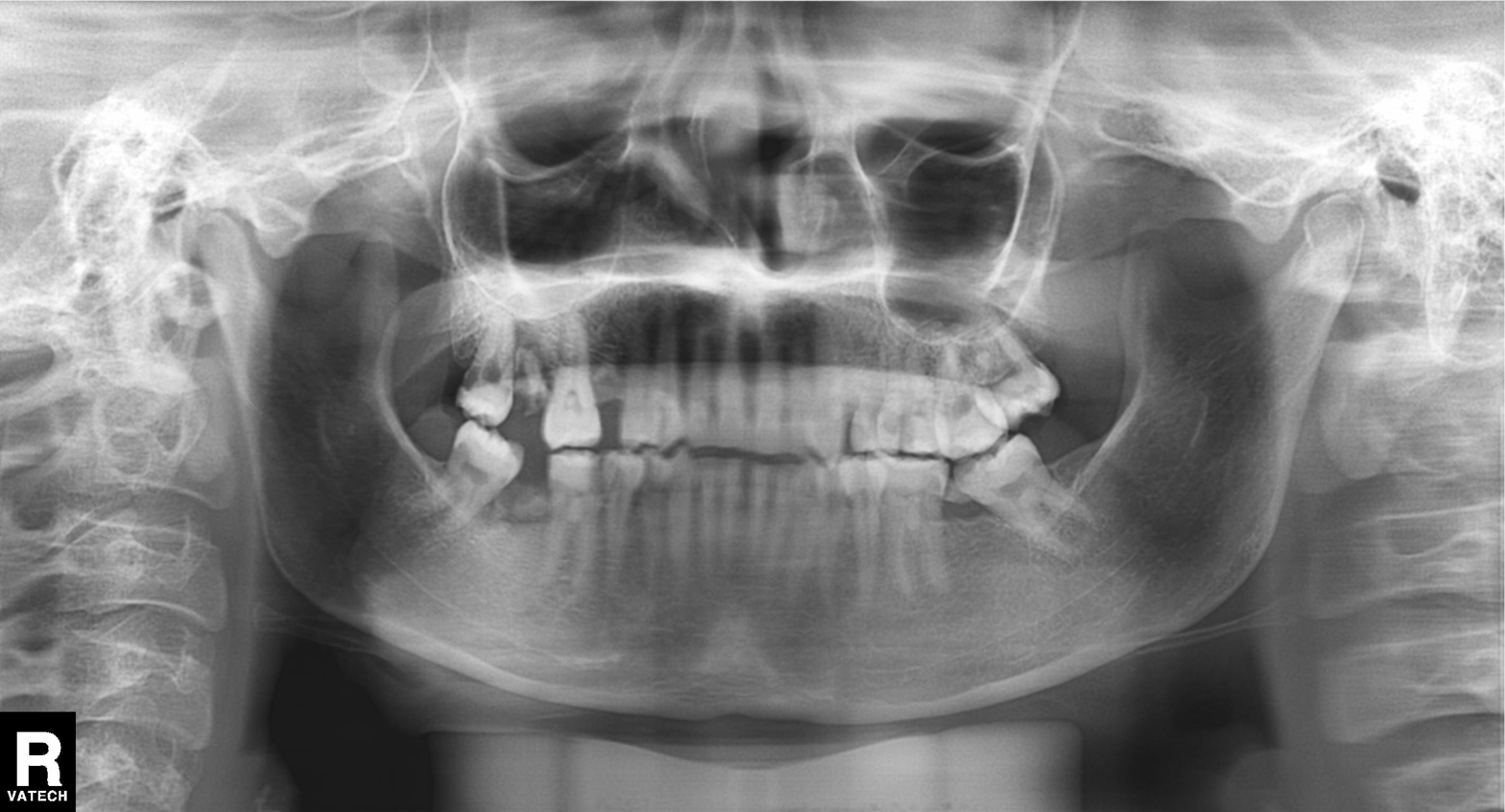
modality: panoramic dental radiograph (orthopantomogram), finding: tooth impaction.